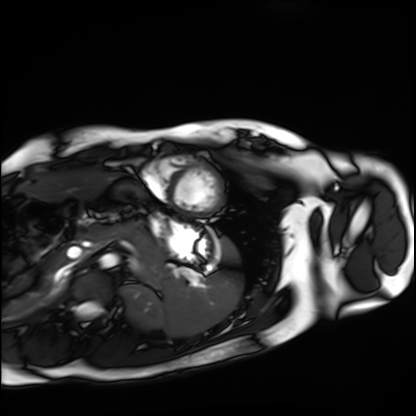
Cardiac MRI. Subject group: healthy volunteer.